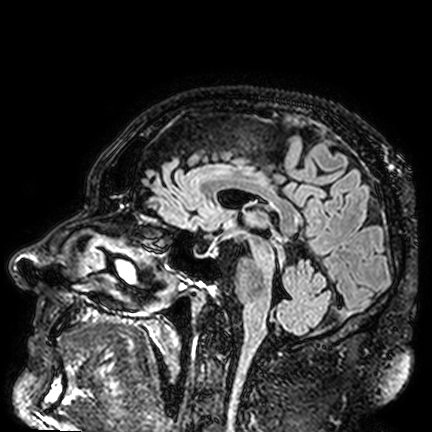
3 Tesla brain MRI. Study: ring-enhancing brain masses.